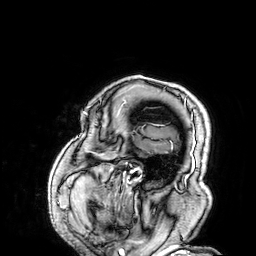
{"modality": {"type": "brain MRI", "field_strength": "3T"}, "series": "3D T1-weighted", "study_topic": "ring-enhancing brain masses"}